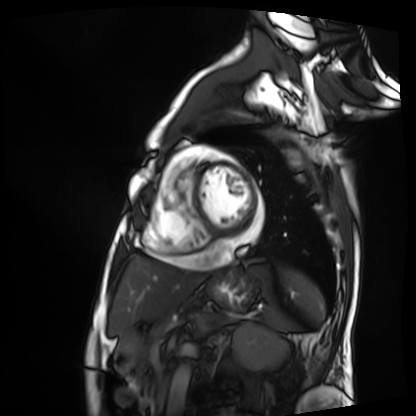
- modality: cardiac MRI
- subject group: patient